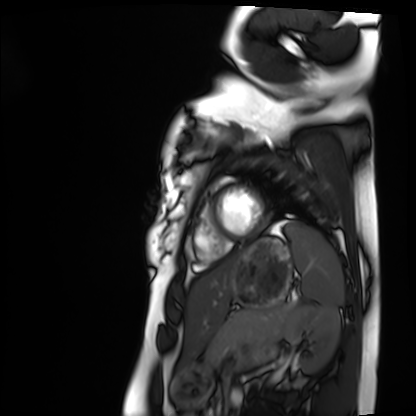
Q: What kind of scan is this?
A: Cardiac MRI.
Subject group: healthy volunteer.